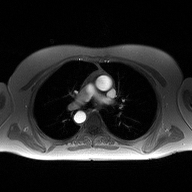
{"modality": {"type": "2D phase-contrast cine MRI", "region": "ascending aorta", "reconstruction": "high-resolution GRAPPA acquisition"}}